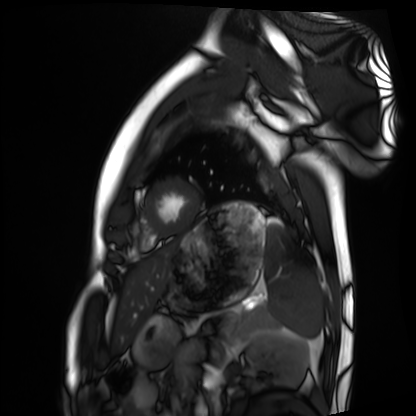
  modality: cardiac MRI
  cohort: healthy volunteer